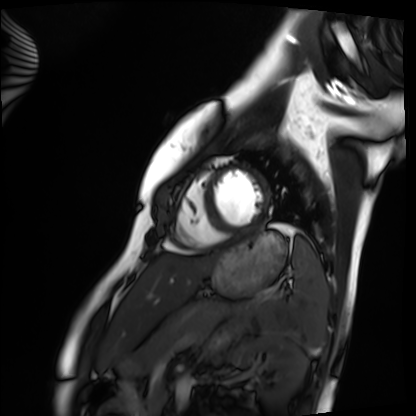
Case summary: Cardiac MRI. Subject group: healthy volunteer.